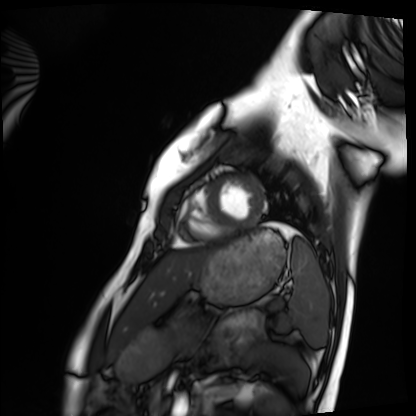
modality = cardiac MRI, subject group = healthy volunteer.